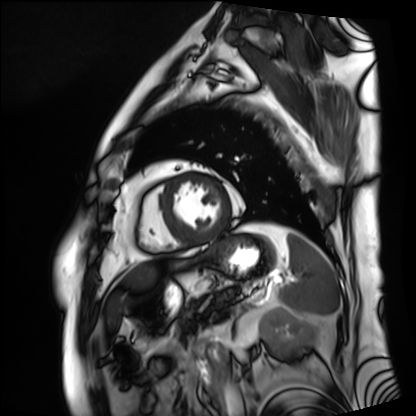
Case:
– modality · cardiac MRI
– subject group · patient